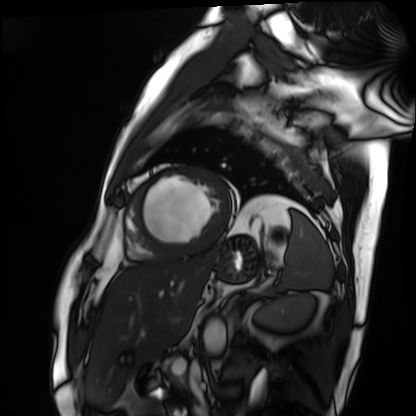
Cardiac MRI.
Subject group: patient.